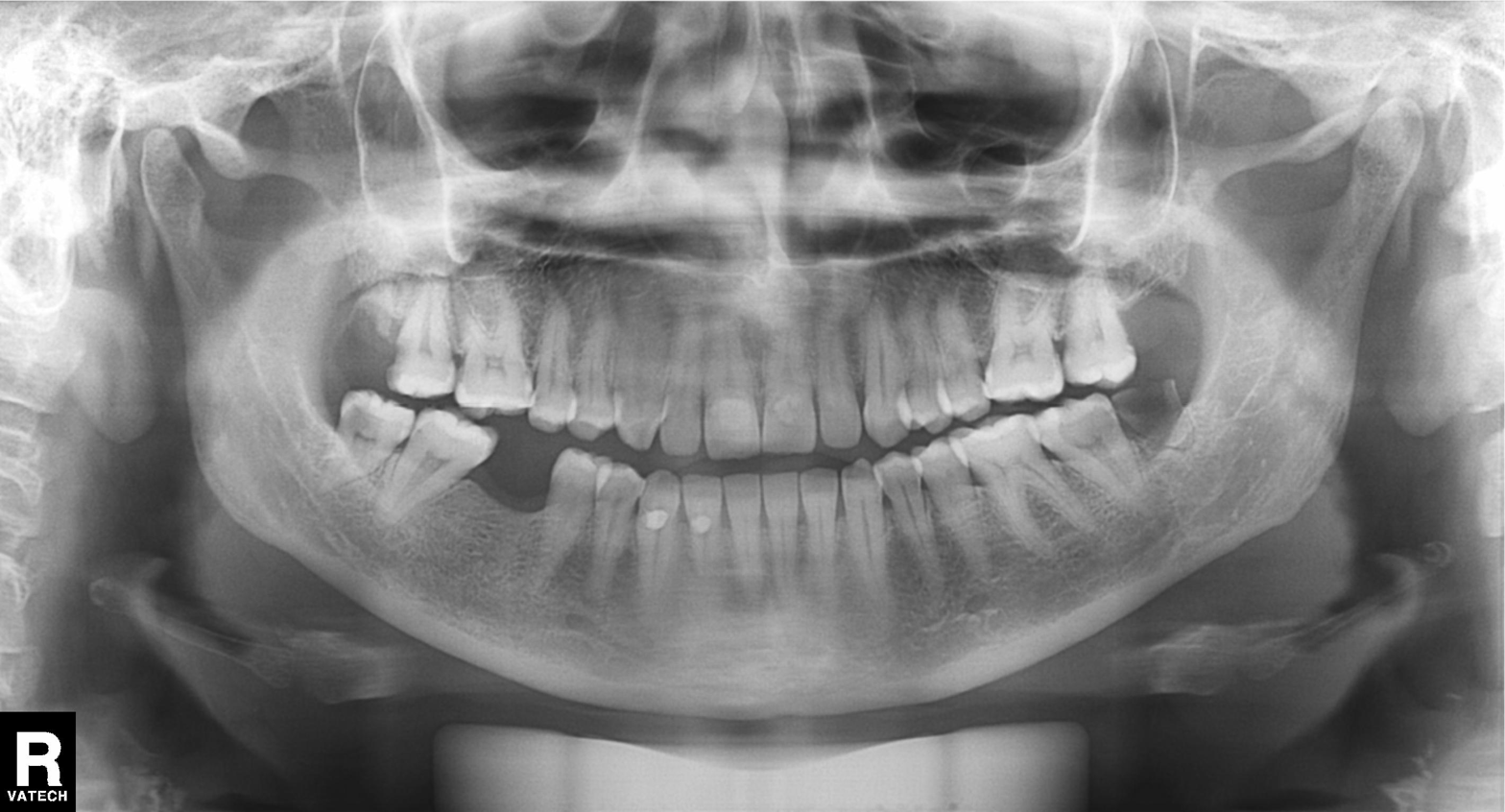
Panoramic dental radiograph (orthopantomogram). Finding: tooth impaction.